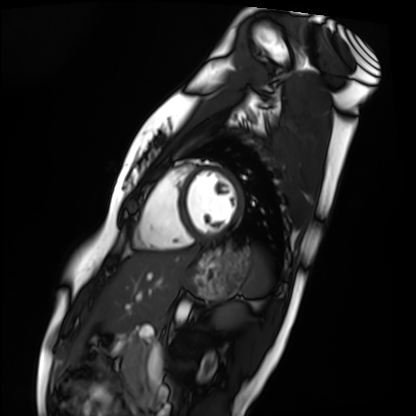
Summary:
Cardiac MRI. Subject group: healthy volunteer.